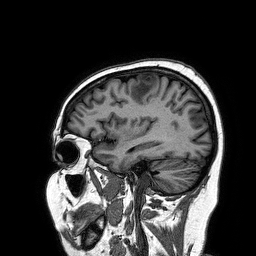
Clinical context: 3 Tesla brain MRI. Study: ring-enhancing brain masses.